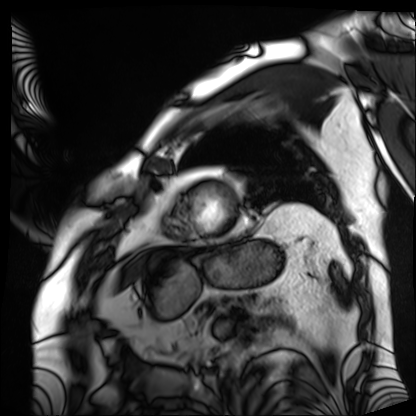
Cardiac MRI.
Subject group: patient.